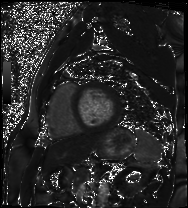
Cardiac MRI.
Subject group: patient.